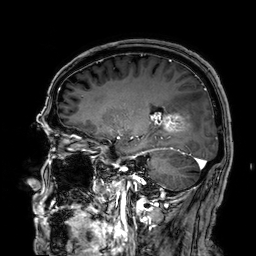
3 Tesla brain MRI.
Study: ring-enhancing brain masses.